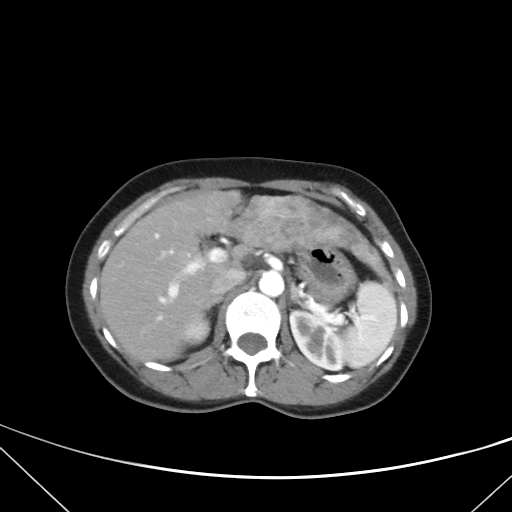
  modality:
    type: multiphase abdominal CT
    region: liver
    phase: arterial
  patient:
    sex: female
    age: 42